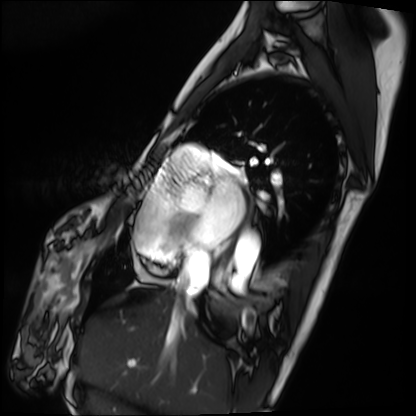
Cardiac MRI.
Subject group: patient.